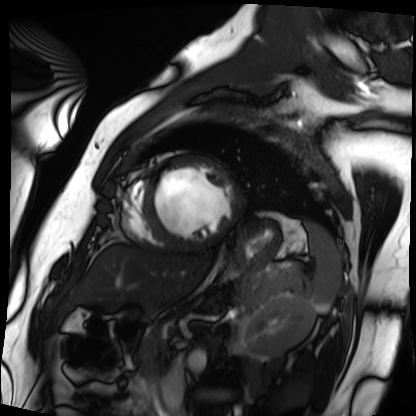
modality: cardiac MRI
cohort: patient